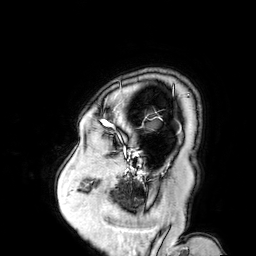
3 Tesla brain MRI.
Series: 3D T1-weighted turbo field echo with SENSE.
Study: ring-enhancing brain masses.